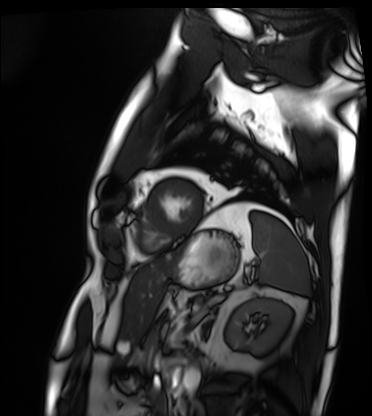
Summary:
Cardiac MRI. Subject group: patient.